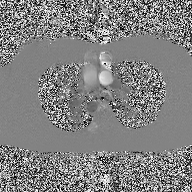
modality: 2D phase-contrast cine MRI of the ascending aorta.